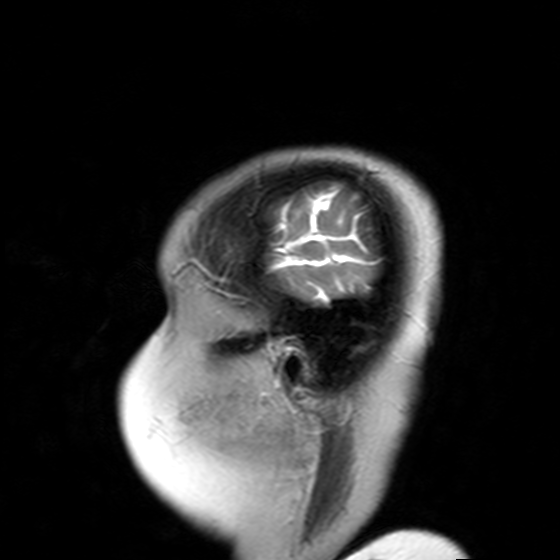
Case summary:
3 Tesla brain MRI. Series: T2-weighted turbo spin echo with SENSE. Study: ring-enhancing brain masses.